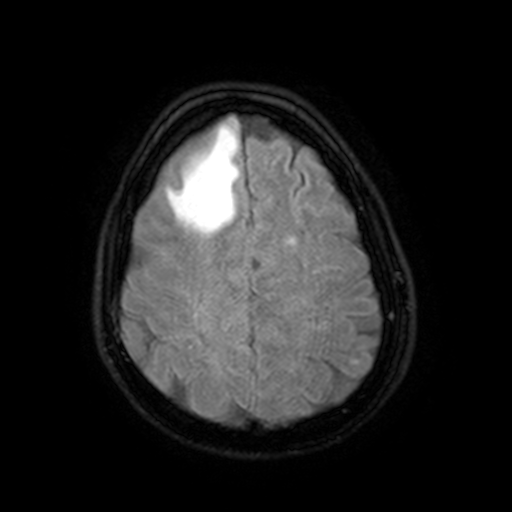
modality = 3 Tesla brain MRI
series = FLAIR with SPAIR, 3 mm
study = ring-enhancing brain masses